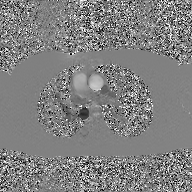
{
  "modality": {
    "type": "2D phase-contrast cine MRI",
    "region": "ascending aorta",
    "reconstruction": "GAN super-resolution reconstruction"
  }
}